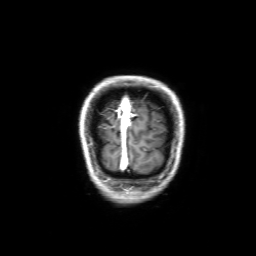
3 Tesla brain MRI.
Series: 3D T1-weighted with SENSE.
Study: ring-enhancing brain masses.